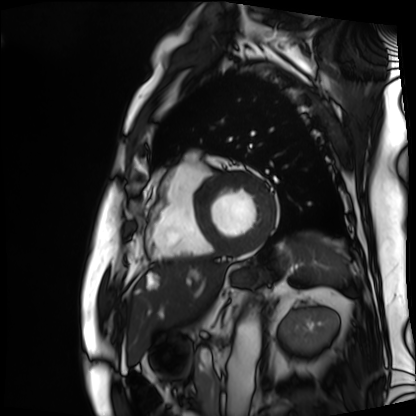
<study>
  <modality>cardiac MRI</modality>
  <cohort>patient</cohort>
</study>